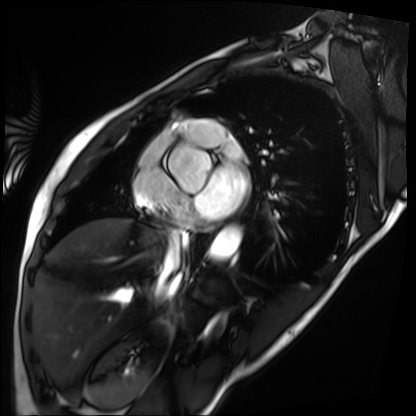
Summary: Cardiac MRI. Subject group: patient.